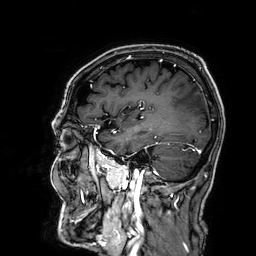
modality: 3 Tesla brain MRI; series: 3D T1-weighted; study: ring-enhancing brain masses.